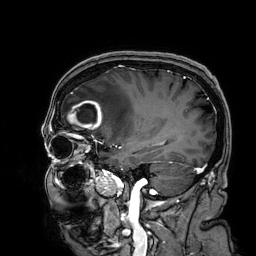
Q: What kind of scan is this?
A: 3 Tesla brain MRI.
Q: Series?
A: 3D T1-weighted.
Study: ring-enhancing brain masses.